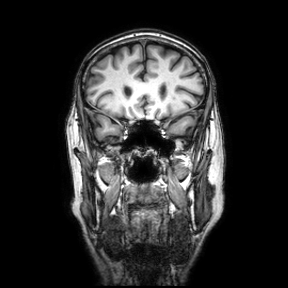
Clinical context: 3 Tesla brain MRI. Series: coronal. Study: ring-enhancing brain masses.